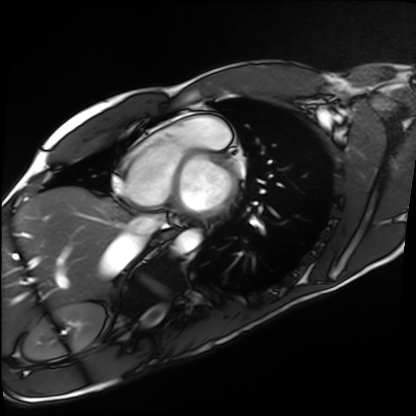
Cardiac MRI.
Subject group: healthy volunteer.